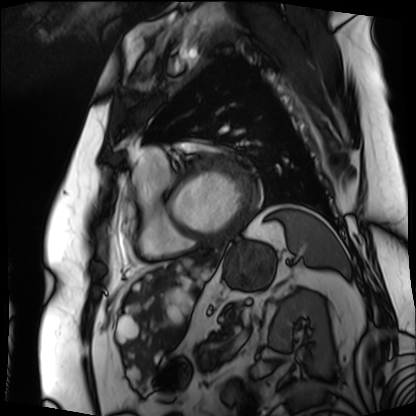
Cardiac MRI.
Subject group: patient.